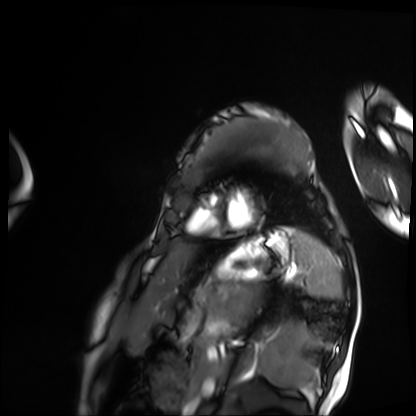
Cardiac MRI. Subject group: patient.